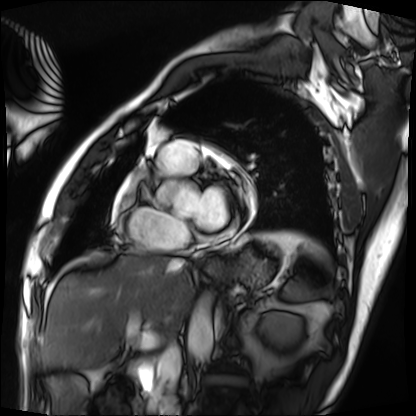
Summary:
Cardiac MRI. Subject group: patient.